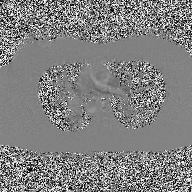
Clinical context:
2D phase-contrast cine MRI of the ascending aorta, high-resolution GRAPPA acquisition.